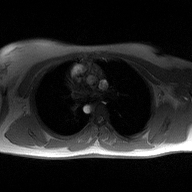
2D phase-contrast cine MRI of the ascending aorta, high-resolution GRAPPA acquisition.